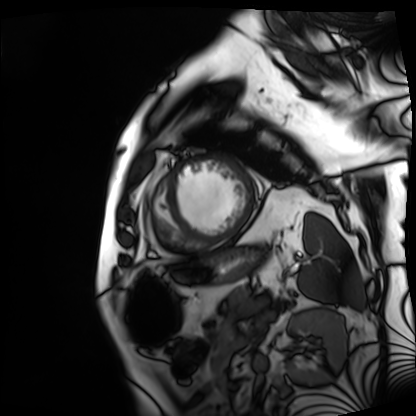
  modality: cardiac MRI
  cohort: patient